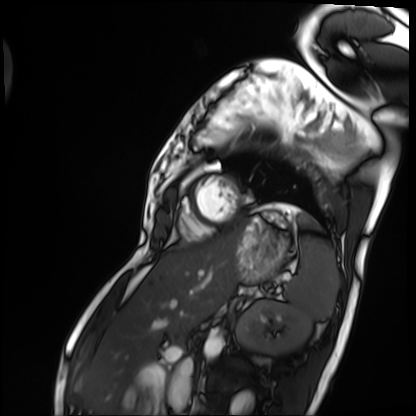
{"modality": "cardiac MRI", "cohort": "patient"}